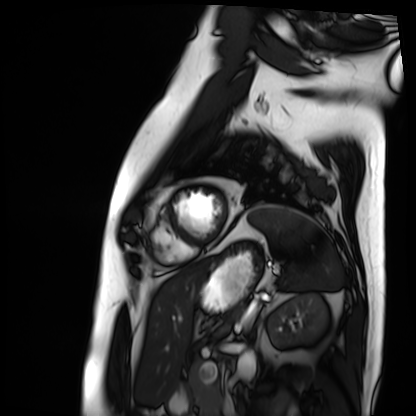
• modality: cardiac MRI
• subject group: patient